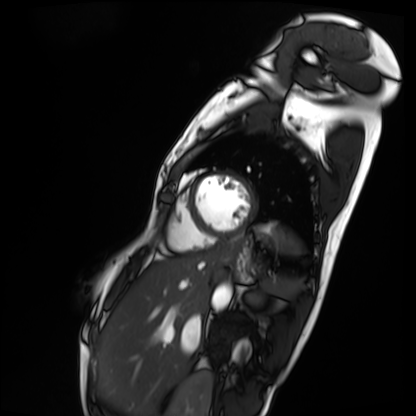
Cardiac MRI.
Subject group: patient.